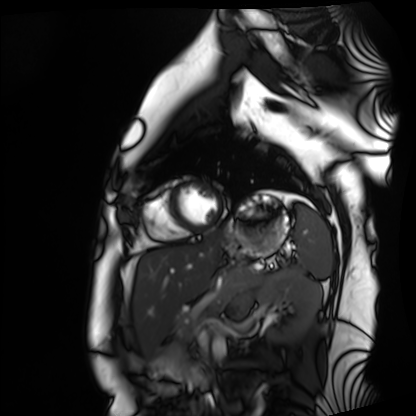
Summary:
Cardiac MRI. Subject group: healthy volunteer.